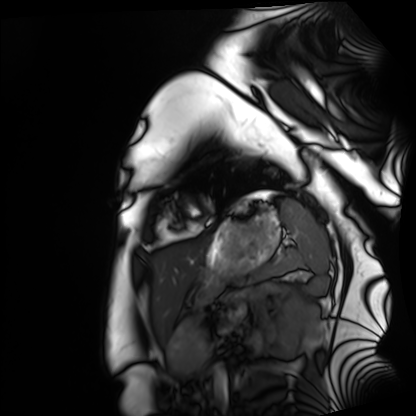
Cardiac MRI.
Subject group: healthy volunteer.